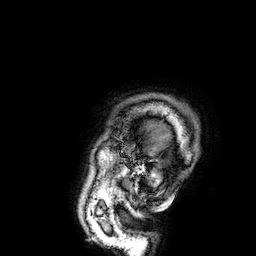
• modality: 3 Tesla brain MRI
• series: 3D T1-weighted
• study: ring-enhancing brain masses